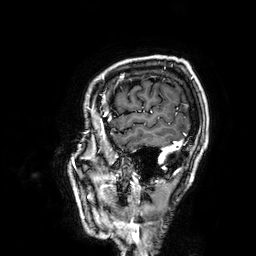
Case:
- modality — 3 Tesla brain MRI
- study — ring-enhancing brain masses